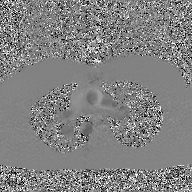
Summary: 2D phase-contrast cine MRI of the ascending aorta, GAN super-resolution reconstruction.